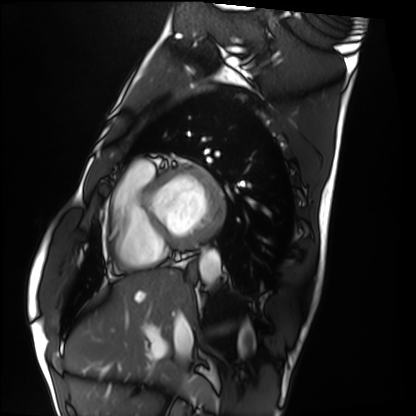
Summary: Cardiac MRI. Subject group: healthy volunteer.